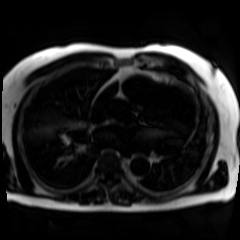
Chemical-shift-encoded cardiac MRI.